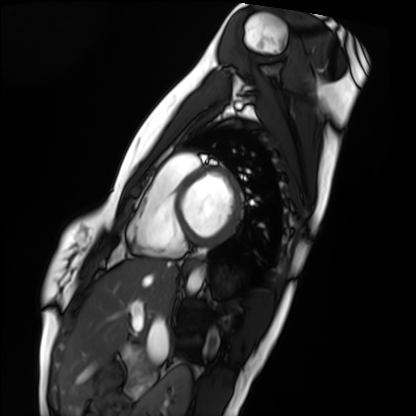
Q: What kind of scan is this?
A: Cardiac MRI.
Subject group: healthy volunteer.